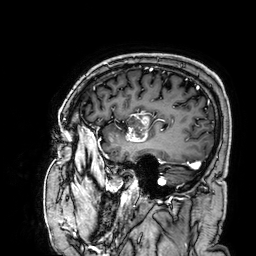
modality: 3 Tesla brain MRI | series: 3D T1-weighted | study: ring-enhancing brain masses.